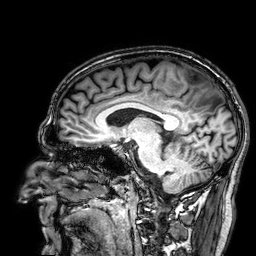
<record>
  <modality>
    <type>brain MRI</type>
    <field_strength>3T</field_strength>
  </modality>
  <series>3D T1-weighted</series>
  <study_topic>ring-enhancing brain masses</study_topic>
</record>